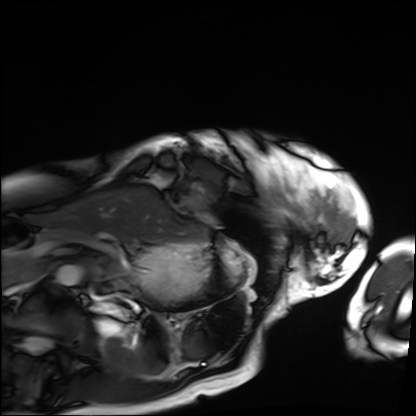
modality: cardiac MRI
subject group: patient